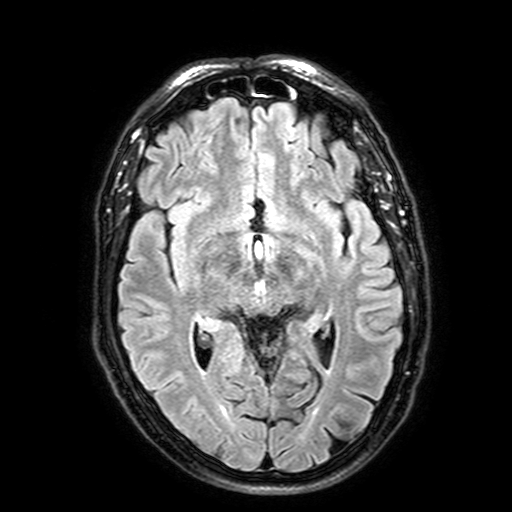
3 Tesla brain MRI.
Series: FLAIR with SPAIR, 3 mm.
Study: ring-enhancing brain masses.